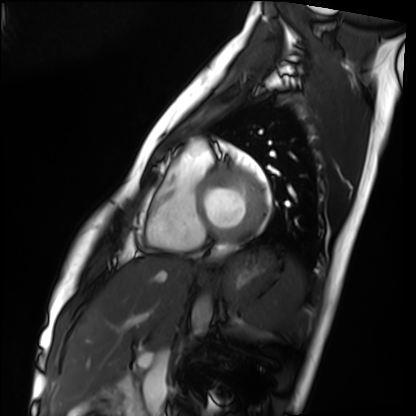
Q: What kind of scan is this?
A: Cardiac MRI.
Subject group: healthy volunteer.